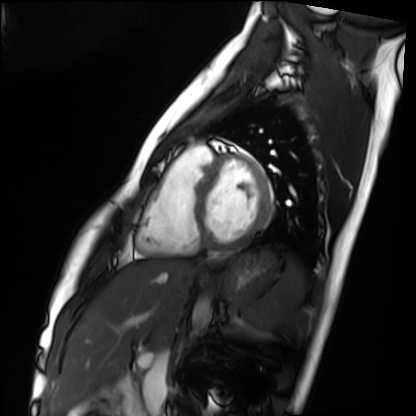
modality: cardiac MRI; subject group: healthy volunteer.